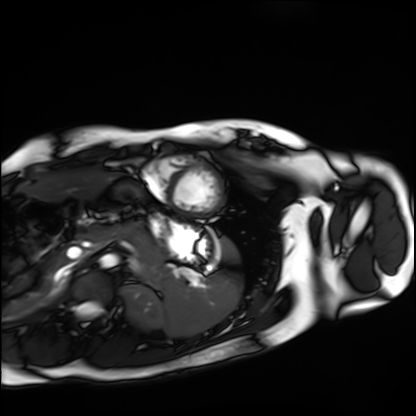
Cardiac MRI. Subject group: healthy volunteer.